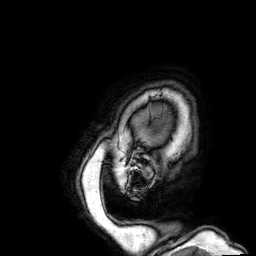
3 Tesla brain MRI. Series: 3D T1-weighted. Study: ring-enhancing brain masses.